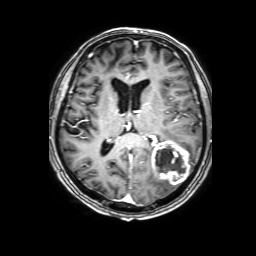
3 Tesla brain MRI. Series: 3D T1-weighted with SENSE. Study: ring-enhancing brain masses.